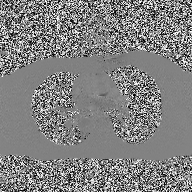
Q: What kind of scan is this?
A: 2D phase-contrast cine MRI of the ascending aorta.